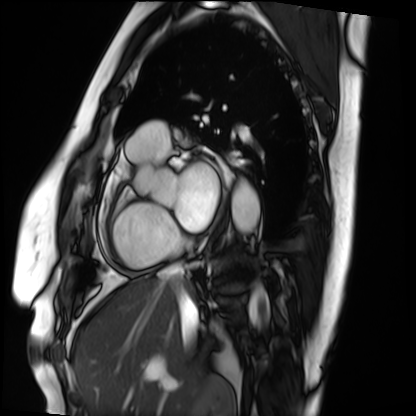
Cardiac MRI.
Subject group: patient.